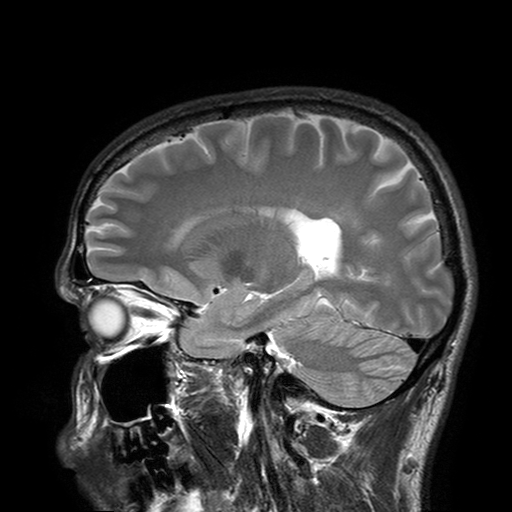
* modality — 3 Tesla brain MRI
* series — T2-weighted turbo spin echo with SENSE
* study — ring-enhancing brain masses